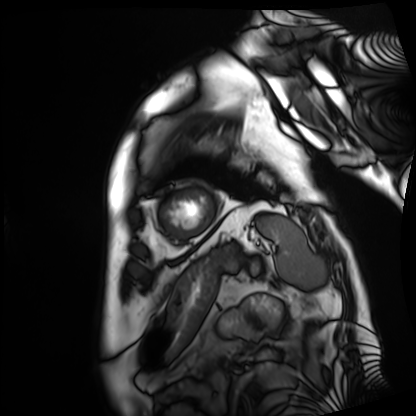
Cardiac MRI.
Subject group: patient.